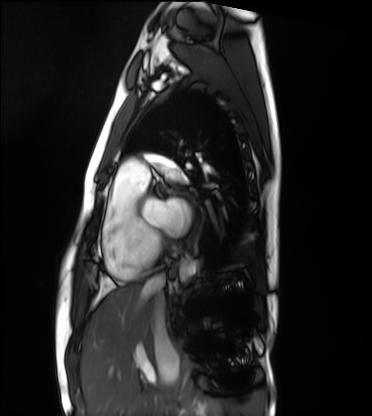
Q: What kind of scan is this?
A: Cardiac MRI.
Subject group: healthy volunteer.